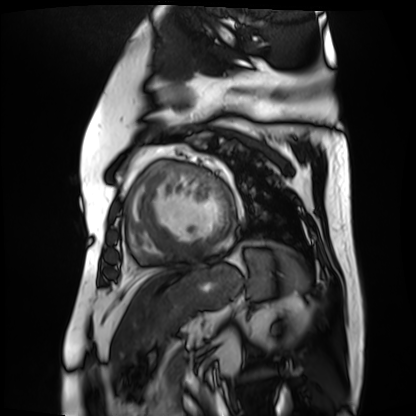
modality — cardiac MR image of the myocardium
subject cohort — cardiac patient